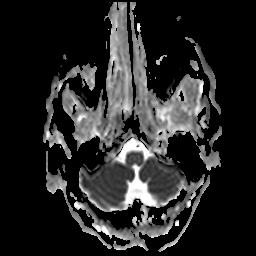
Summary:
3 Tesla brain MRI. Series: apparent diffusion coefficient (ADC) map. Study: ring-enhancing brain masses.